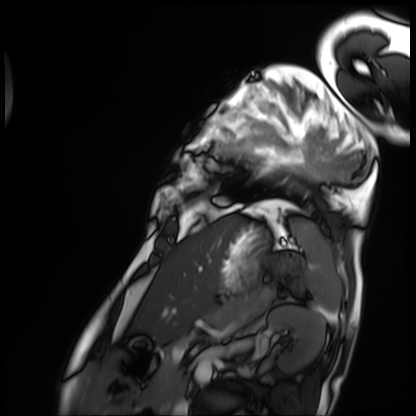
Cardiac MRI. Subject group: patient.